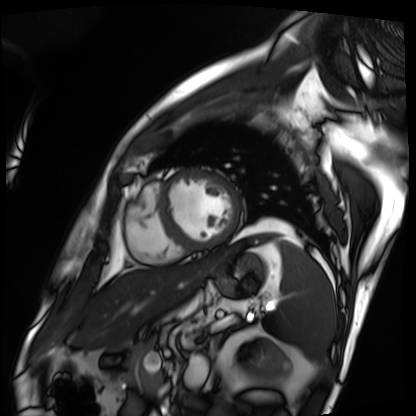
<case>
<modality>cardiac MRI</modality>
<cohort>patient</cohort>
</case>